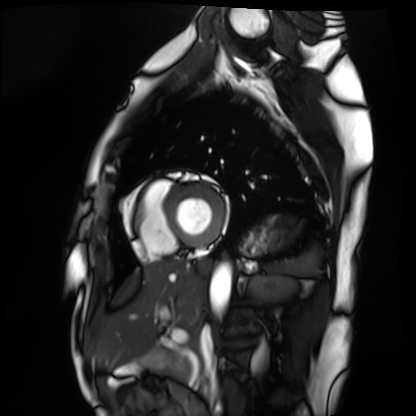
modality: cardiac MRI
cohort: healthy volunteer